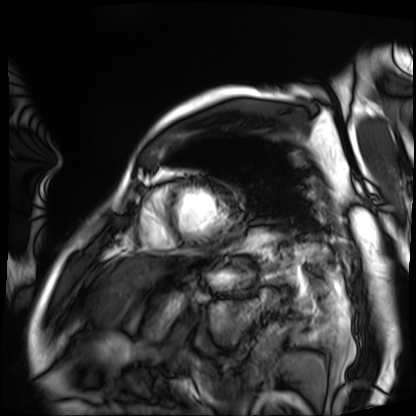
Case summary:
Cardiac MRI. Subject group: patient.